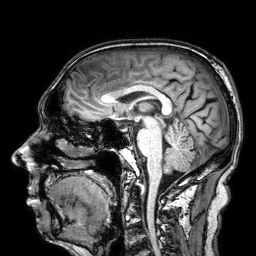
modality:
  type: brain MRI
  field_strength: 3T
series: 3D T1-weighted
study_topic: ring-enhancing brain masses